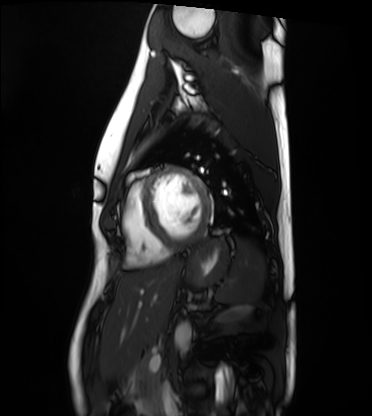
Clinical context:
Cardiac MRI. Subject group: healthy volunteer.